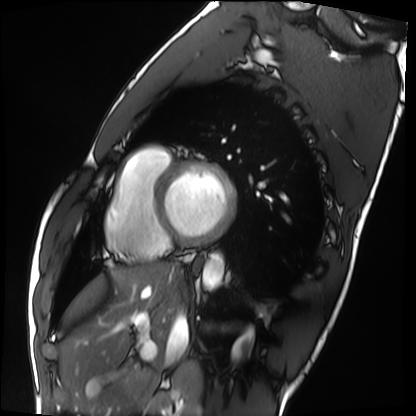
Cardiac MRI. Subject group: healthy volunteer.